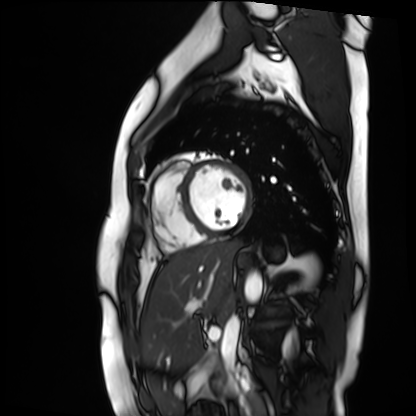
Cardiac MR image of the myocardium.
Subject cohort: healthy volunteer.